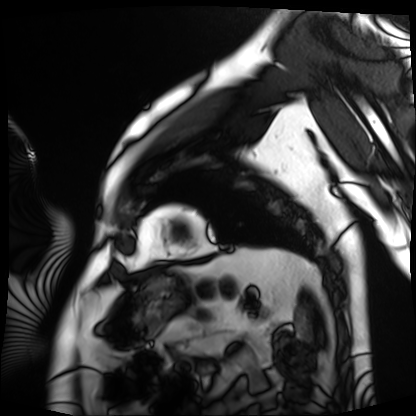
Case:
- modality — cardiac MRI
- subject group — patient